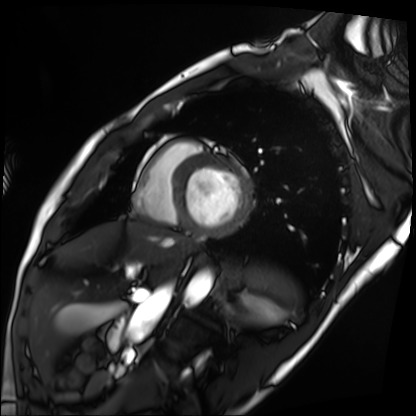
Cardiac MRI.
Subject group: patient.